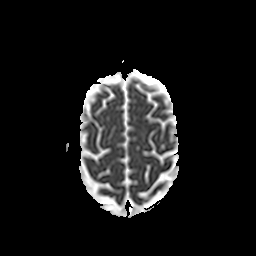
3 Tesla brain MRI.
Series: apparent diffusion coefficient (ADC) map.
Study: ring-enhancing brain masses.